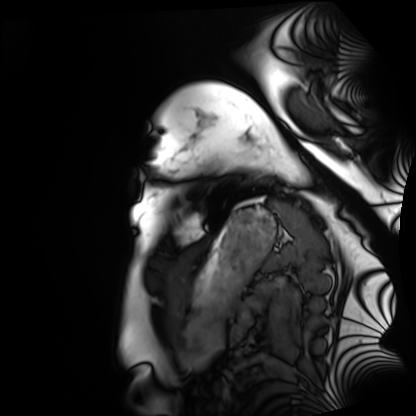
Cardiac MRI. Subject group: healthy volunteer.